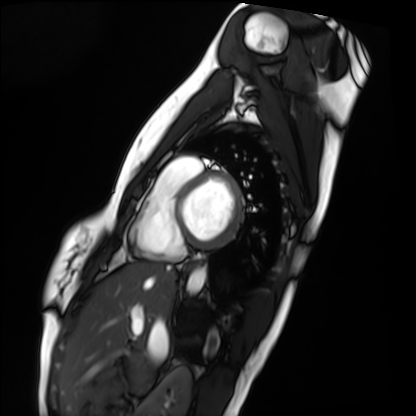
Cardiac MRI. Subject group: healthy volunteer.